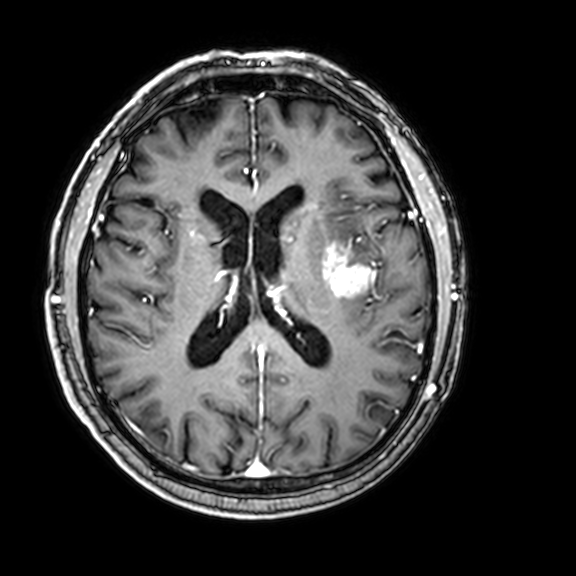
3 Tesla brain MRI. Series: 3D T1-weighted with CLEAR. Study: ring-enhancing brain masses.